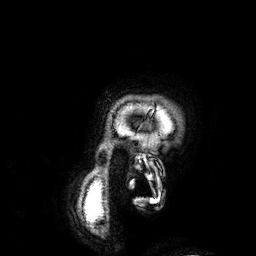
– modality — 3 Tesla brain MRI
– series — 3D T1-weighted
– study — ring-enhancing brain masses